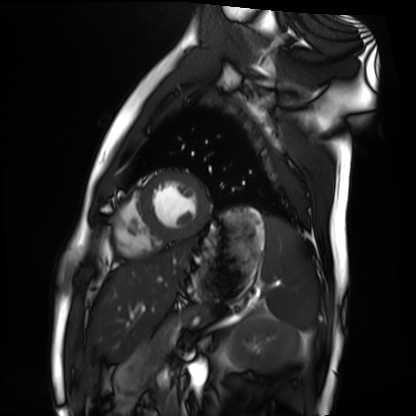
Cardiac MRI. Subject group: healthy volunteer.